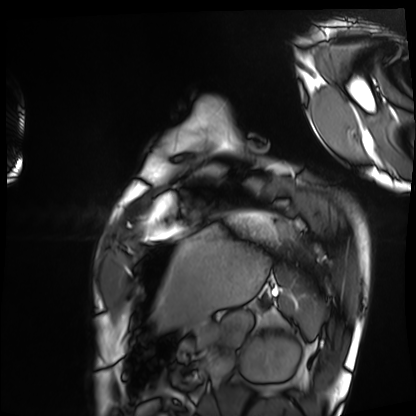
{"modality": "cardiac MRI", "cohort": "healthy volunteer"}